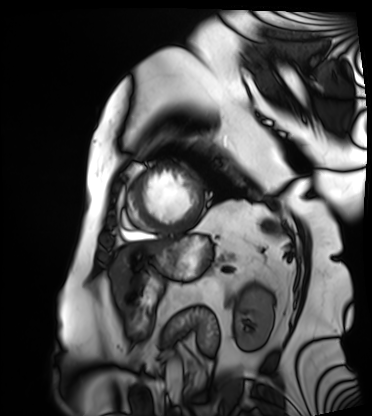
Cardiac MRI. Subject group: patient.